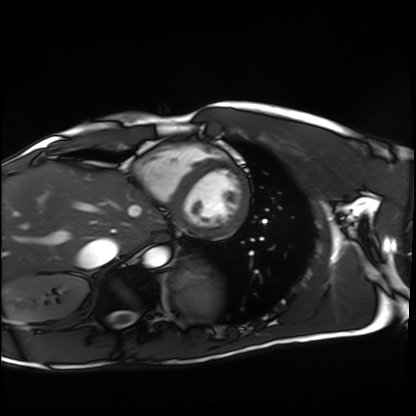
modality: cardiac MRI; subject group: healthy volunteer.